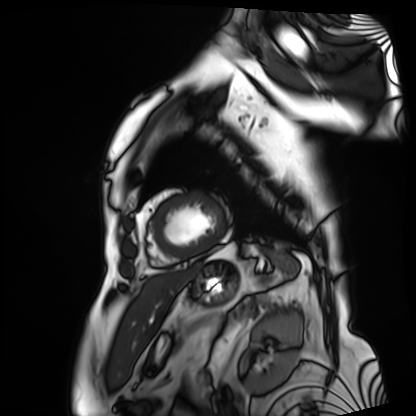
modality = cardiac MRI
subject group = patient